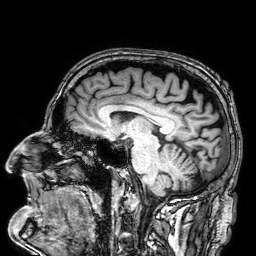
Case summary: 3 Tesla brain MRI. Series: 3D T1-weighted. Study: ring-enhancing brain masses.